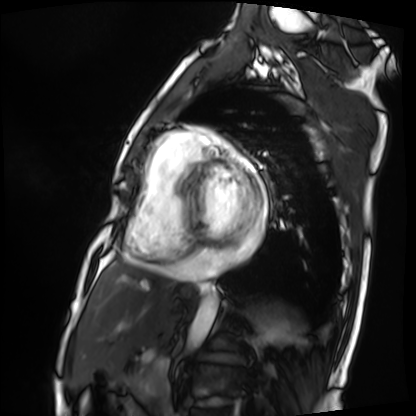
| field | value |
|---|---|
| modality | cardiac MRI |
| subject group | patient |